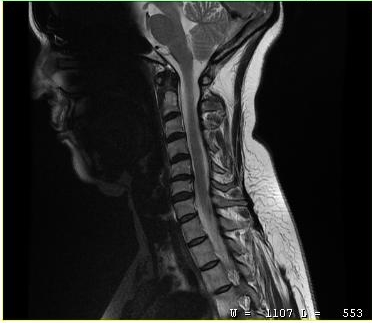
<scan>
<modality>
  <type>cervical spine MRI</type>
</modality>
<study_topic>cervical spondylosis</study_topic>
</scan>